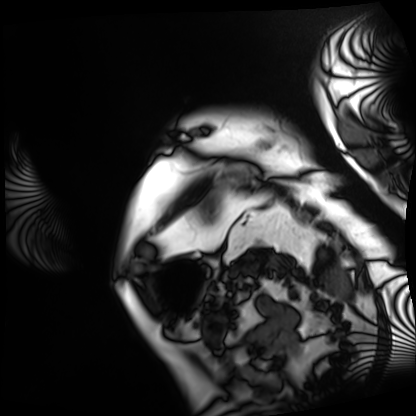
Cardiac MRI. Subject group: patient.